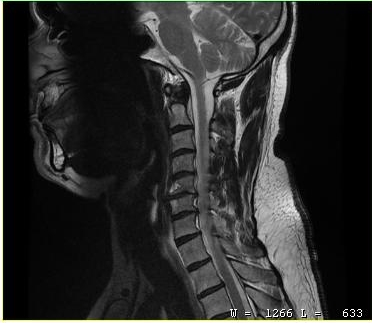
Case summary:
MRI of the cervical spine. Study: cervical spondylosis.